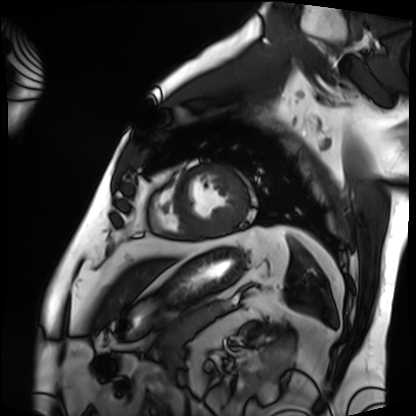
modality: cardiac MRI; subject group: patient.